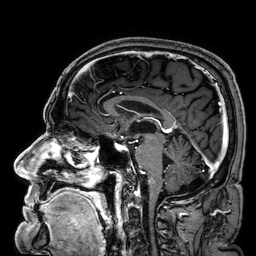
modality: 3 Tesla brain MRI | series: 3D T1-weighted | study: ring-enhancing brain masses.